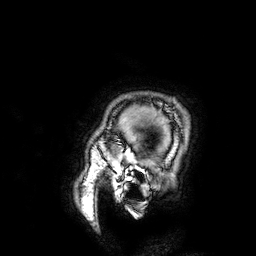
3 Tesla brain MRI.
Series: 3D T1-weighted.
Study: ring-enhancing brain masses.